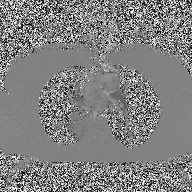
modality=2D phase-contrast cine MRI of the ascending aorta.